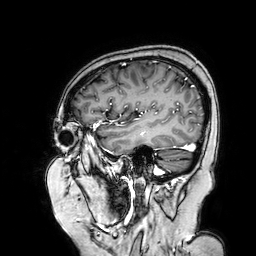
{
  "modality": {
    "type": "brain MRI",
    "field_strength": "3T"
  },
  "series": "3D T1-weighted turbo field echo with SENSE",
  "study_topic": "ring-enhancing brain masses"
}